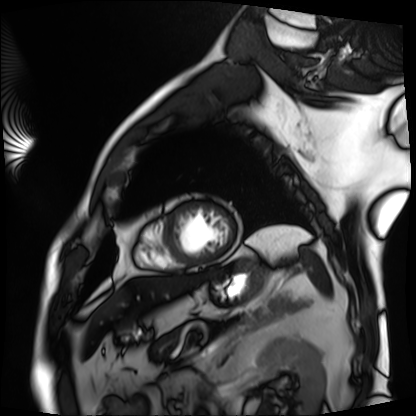
modality: cardiac MRI; subject group: patient.